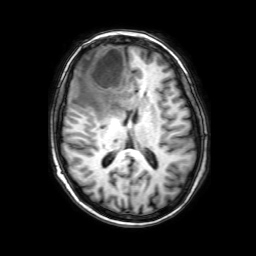
{
  "modality": {
    "type": "brain MRI",
    "field_strength": "3T"
  },
  "series": "3D T1-weighted with SENSE",
  "study_topic": "ring-enhancing brain masses"
}